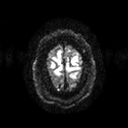
3 Tesla brain MRI. Series: diffusion tensor imaging (medium iso). Study: ring-enhancing brain masses.